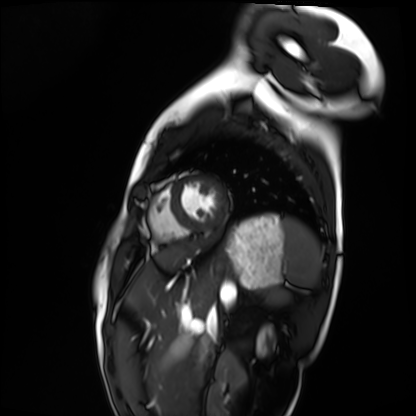
Case summary:
Cardiac MRI. Subject group: healthy volunteer.